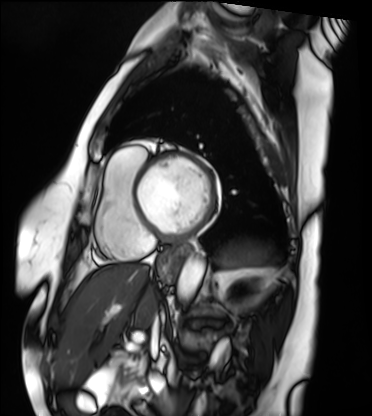
Cardiac MRI. Subject group: patient.